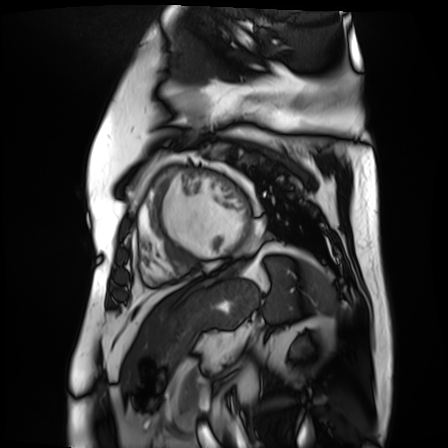
| field | value |
|---|---|
| modality | cardiac MR image of the myocardium |
| subject cohort | cardiac patient |